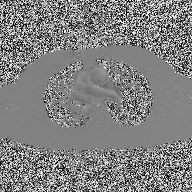
{
  "modality": {
    "type": "2D phase-contrast cine MRI",
    "region": "ascending aorta",
    "reconstruction": "high-resolution GRAPPA acquisition"
  }
}